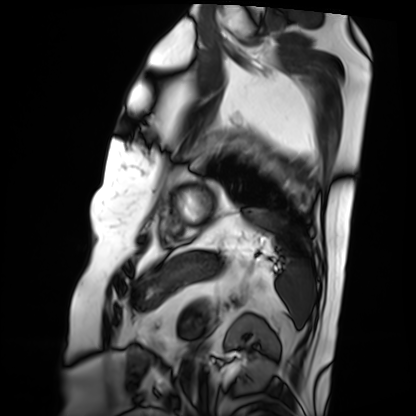
Cardiac MRI. Subject group: patient.